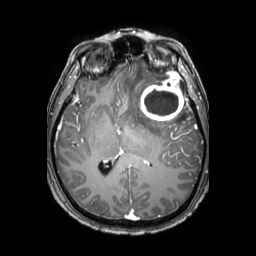
modality = 3 Tesla brain MRI | series = 3D T1-weighted TFE with SENSE | study = ring-enhancing brain masses.